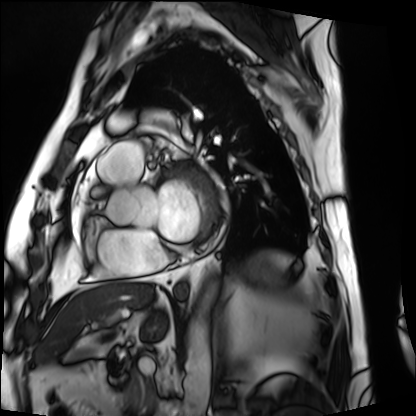
• modality: cardiac MRI
• subject group: patient